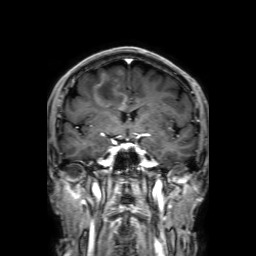
Summary: 3 Tesla brain MRI. Series: 3D T1-weighted with SENSE. Study: ring-enhancing brain masses.